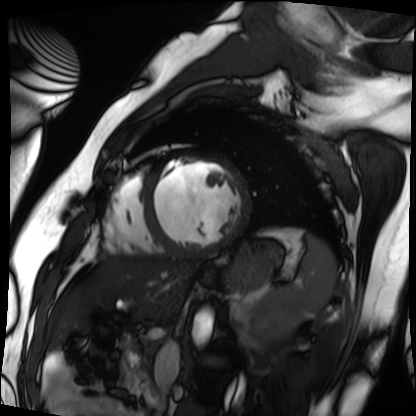
Summary: Cardiac MRI. Subject group: patient.